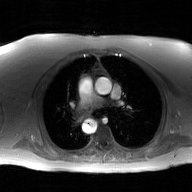
• modality — 2D phase-contrast cine MRI of the ascending aorta, GAN super-resolution reconstruction